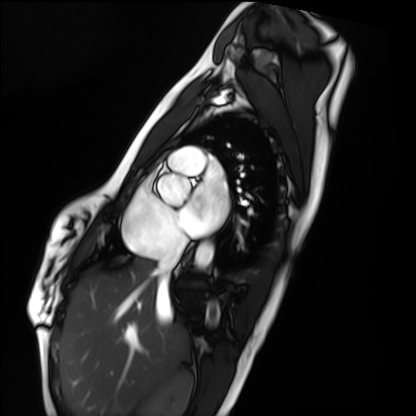
Case:
* modality: cardiac MRI
* subject group: healthy volunteer